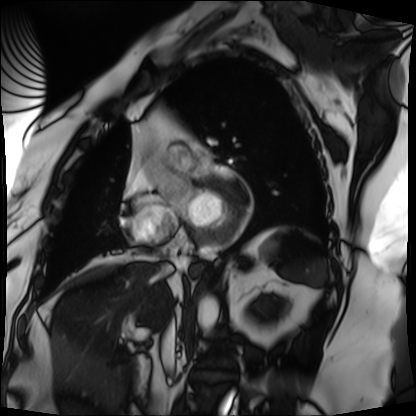
modality: cardiac MRI | subject group: patient.